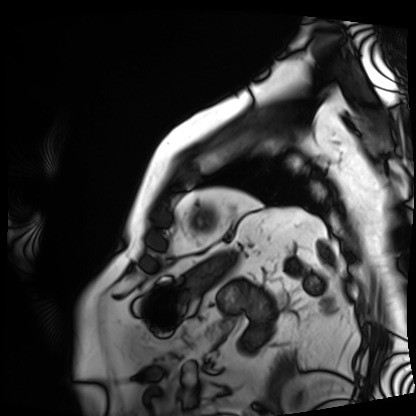
Q: What kind of scan is this?
A: Cardiac MRI.
Subject group: patient.